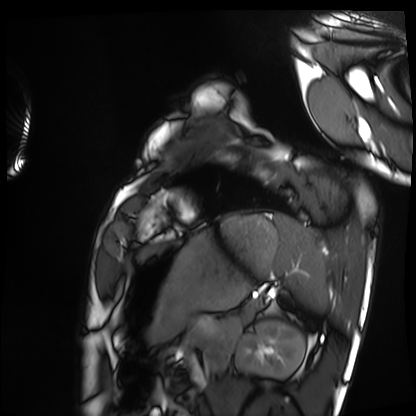
<study>
  <modality>cardiac MRI</modality>
  <cohort>healthy volunteer</cohort>
</study>